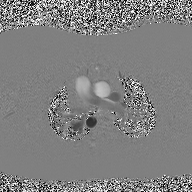
– modality: 2D phase-contrast cine MRI of the ascending aorta